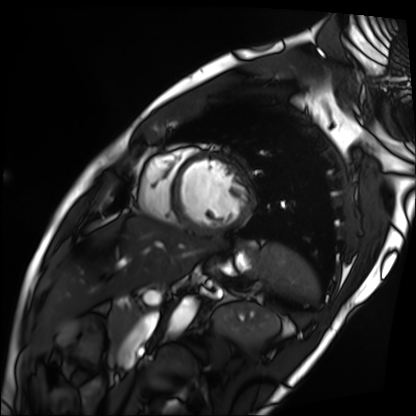
Case summary: Cardiac MRI. Subject group: patient.